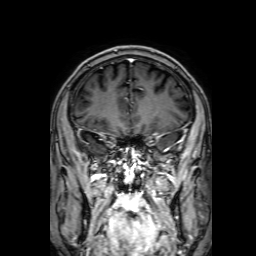
Summary:
3 Tesla brain MRI. Series: 3D T1-weighted with SENSE. Study: ring-enhancing brain masses.